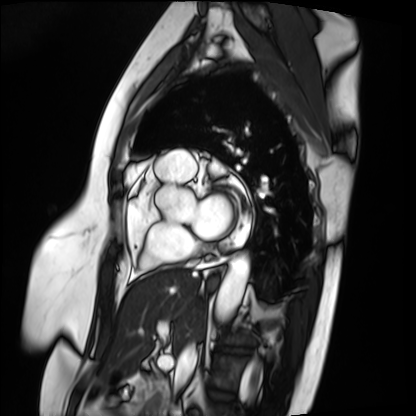
  modality: cardiac MRI
  cohort: patient